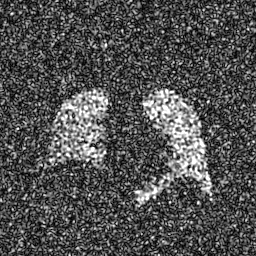
  modality: hyperpolarized 129Xe ventilation MRI of the lungs
  snr_level: 8 of 8 (the deposit holds this scan as its native image and as seven SNR-degraded versions)